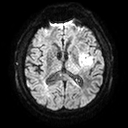
3 Tesla brain MRI. Series: diffusion tensor imaging (medium iso). Study: ring-enhancing brain masses.